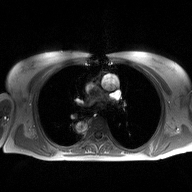
Case:
• modality · 2D phase-contrast cine MRI of the ascending aorta